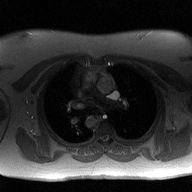
{"modality": {"type": "2D phase-contrast cine MRI", "region": "ascending aorta", "reconstruction": "high-resolution GRAPPA acquisition"}}